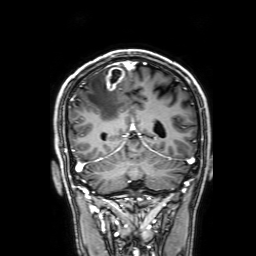
Case:
- modality: 3 Tesla brain MRI
- series: 3D T1-weighted with SENSE
- study: ring-enhancing brain masses